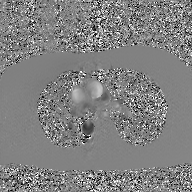
Summary: 2D phase-contrast cine MRI of the ascending aorta, GAN super-resolution reconstruction.